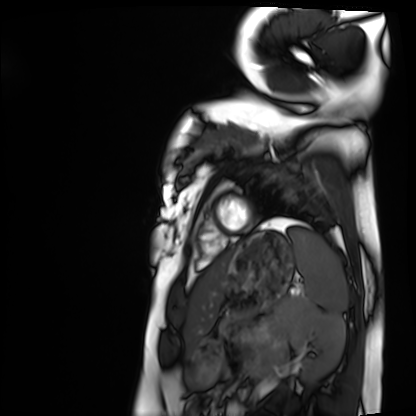
Q: What kind of scan is this?
A: Cardiac MRI.
Subject group: healthy volunteer.